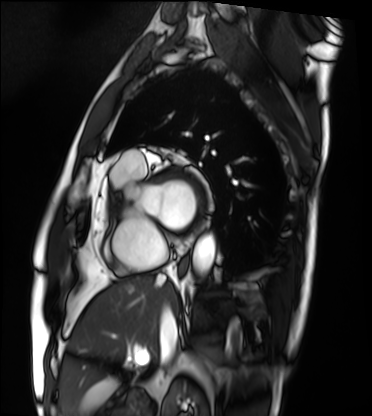
Cardiac MRI. Subject group: patient.